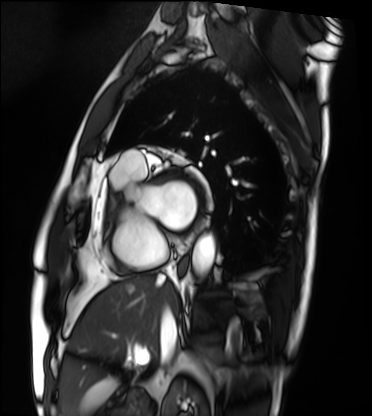
Clinical context: Cardiac MRI. Subject group: patient.